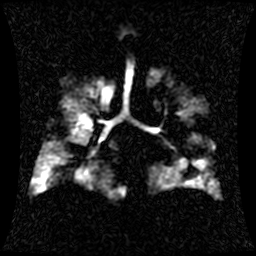
modality: hyperpolarized 129Xe ventilation MRI of the lungs
SNR level: 1 of 8 (the deposit holds this scan as its native image and as seven SNR-degraded versions)